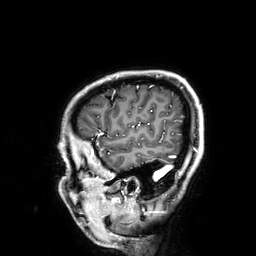
Case:
- modality · 3 Tesla brain MRI
- series · 3D T1-weighted
- study · ring-enhancing brain masses